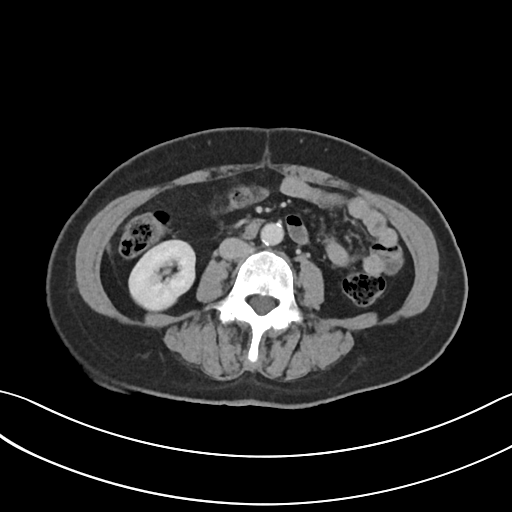
Multiphase abdominal CT, liver, portal venous phase. Patient: female, age 62. History: viral hepatitis.